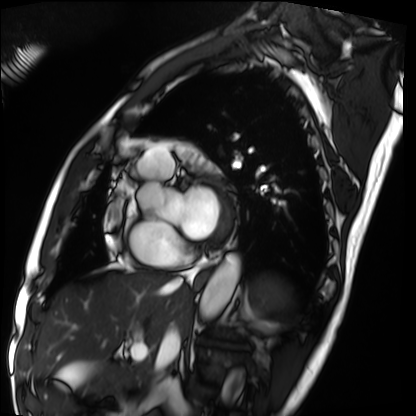
Summary:
Cardiac MRI. Subject group: patient.